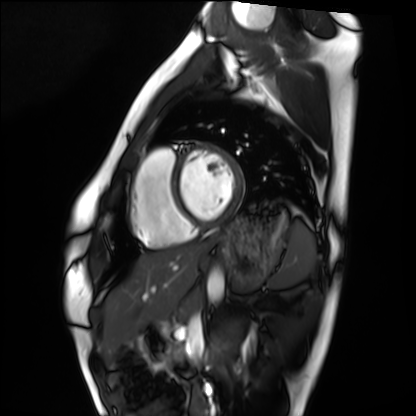
Cardiac MRI. Subject group: healthy volunteer.